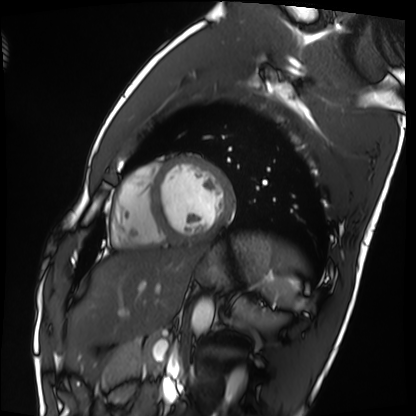
• modality: cardiac MRI
• subject group: healthy volunteer